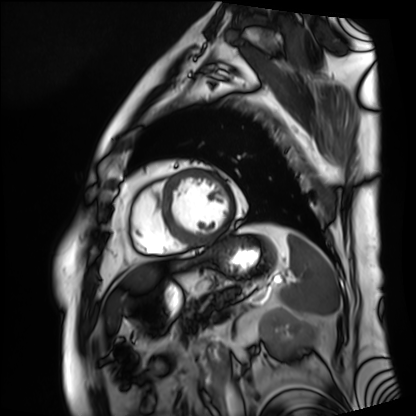
- modality · cardiac MRI
- subject group · patient